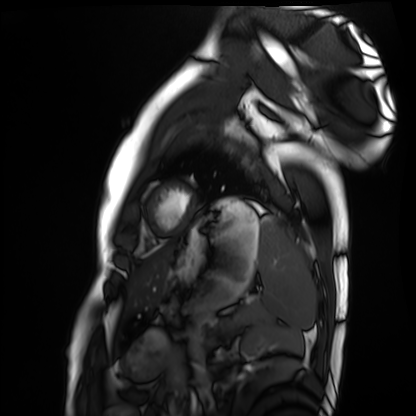
Cardiac MRI. Subject group: healthy volunteer.